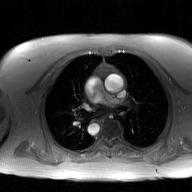
2D phase-contrast cine MRI of the ascending aorta, GAN super-resolution reconstruction.